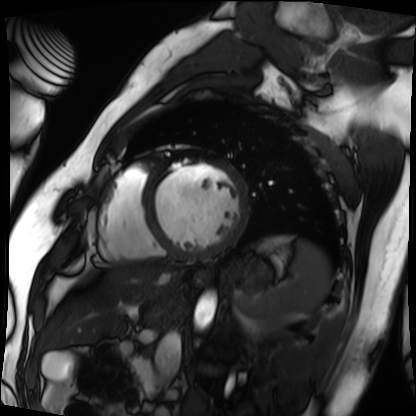
Summary: Cardiac MRI. Subject group: patient.